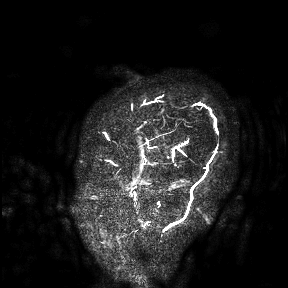
3 Tesla brain MRI.
Study: ring-enhancing brain masses.